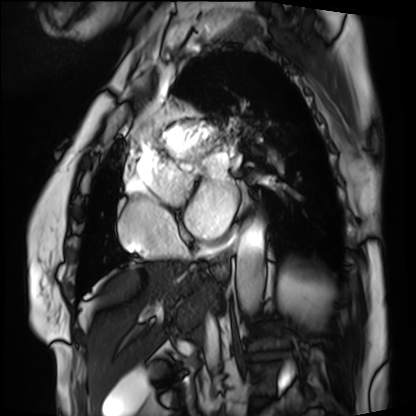
Cardiac MRI. Subject group: patient.